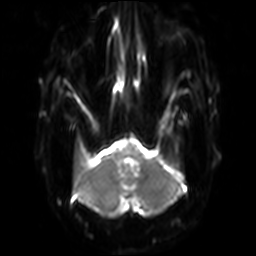
- modality · 3 Tesla brain MRI
- series · diffusion-weighted imaging with SENSE (WIP)
- study · ring-enhancing brain masses